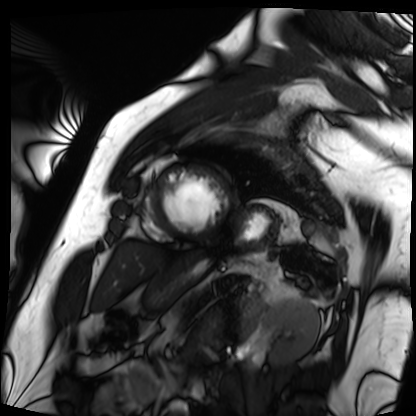
• modality · cardiac MRI
• subject group · patient